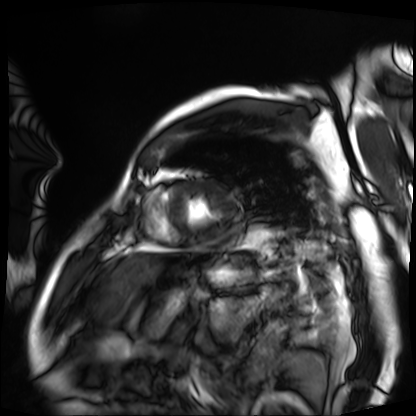
Summary: Cardiac MRI. Subject group: patient.